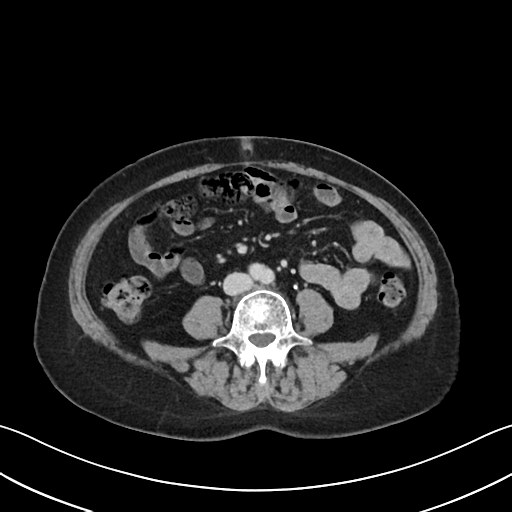
Multiphase abdominal CT, liver, delayed phase.
Patient: female, age 61.